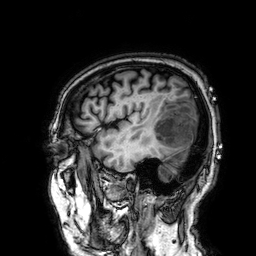
3 Tesla brain MRI. Series: 3D T1-weighted. Study: ring-enhancing brain masses.